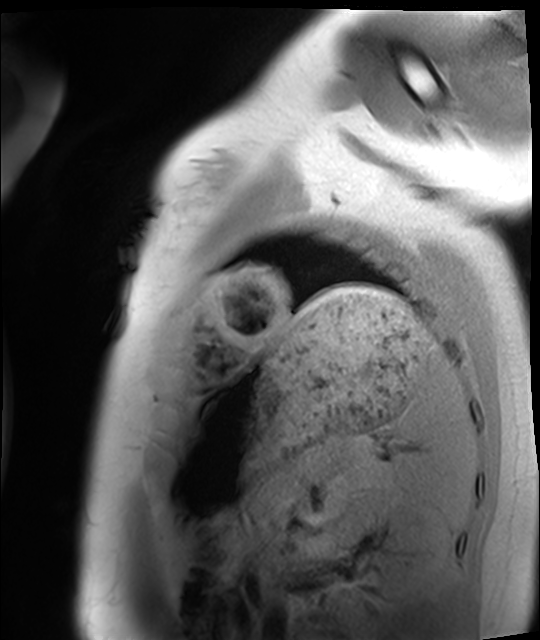
Clinical context:
Cardiac MRI. Subject group: healthy volunteer.